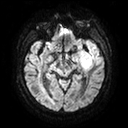
Q: What kind of scan is this?
A: 3 Tesla brain MRI.
Q: Series?
A: Diffusion tensor imaging (medium iso).
Study: ring-enhancing brain masses.